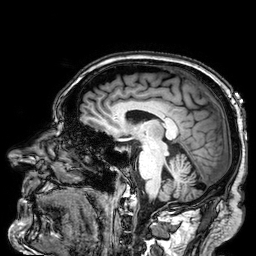
3 Tesla brain MRI. Series: 3D T1-weighted. Study: ring-enhancing brain masses.